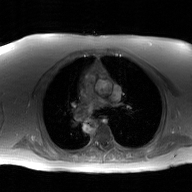
<study>
  <modality>
    <type>2D phase-contrast cine MRI</type>
    <region>ascending aorta</region>
    <reconstruction>GAN super-resolution reconstruction</reconstruction>
  </modality>
</study>